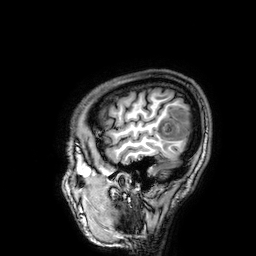
modality:
  type: brain MRI
  field_strength: 3T
series: 3D T1-weighted
study_topic: ring-enhancing brain masses